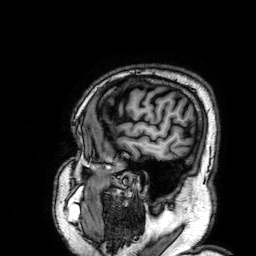
3 Tesla brain MRI. Series: 3D T1-weighted. Study: ring-enhancing brain masses.